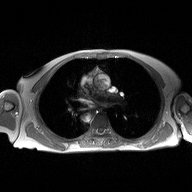
Clinical context:
2D phase-contrast cine MRI of the ascending aorta, high-resolution GRAPPA acquisition.